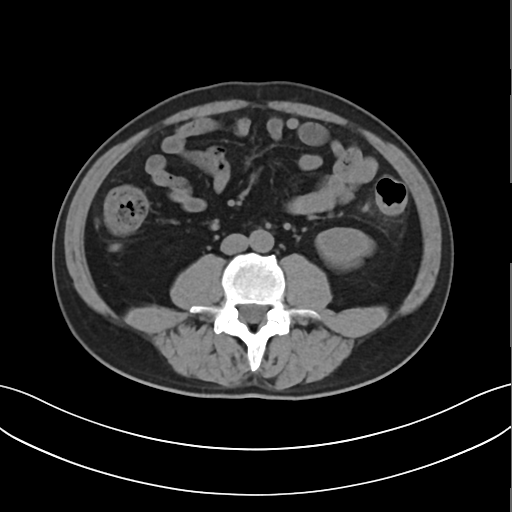
Summary: Multiphase abdominal CT, liver, non-contrast phase.